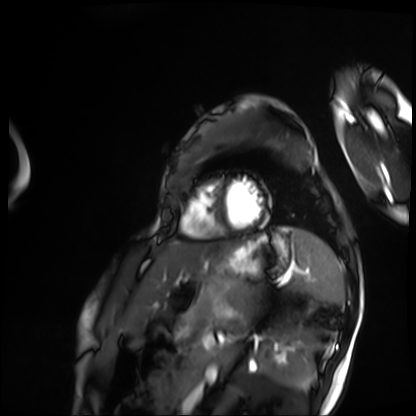
<case>
  <modality>cardiac MRI</modality>
  <cohort>patient</cohort>
</case>